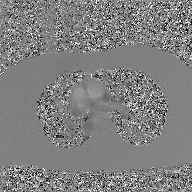
2D phase-contrast cine MRI of the ascending aorta, GAN super-resolution reconstruction.